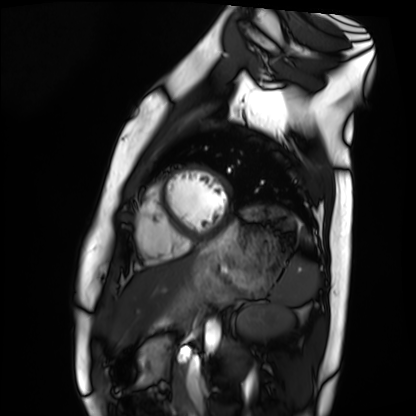
Clinical context:
Cardiac MRI. Subject group: healthy volunteer.